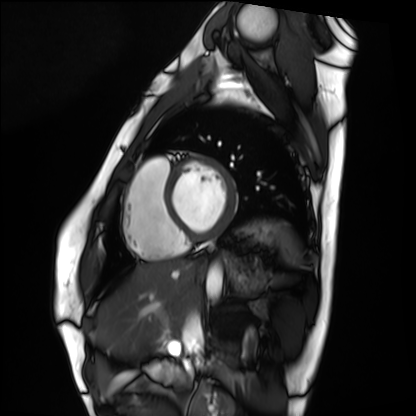
– modality — cardiac MRI
– subject group — healthy volunteer